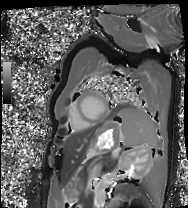
modality: cardiac MRI | subject group: patient.